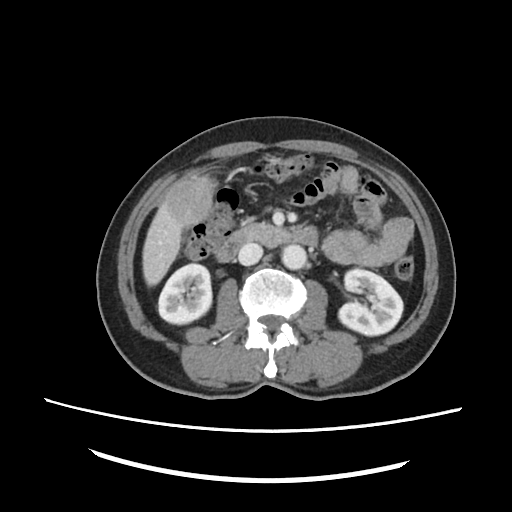
Multiphase abdominal CT, liver, portal venous phase.
Patient: male, age 72.